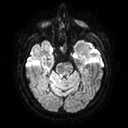
Clinical context: 3 Tesla brain MRI. Series: diffusion tensor imaging (medium iso). Study: ring-enhancing brain masses.